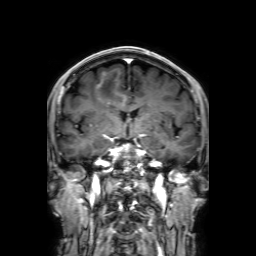
Q: What kind of scan is this?
A: 3 Tesla brain MRI.
Q: Series?
A: 3D T1-weighted with SENSE.
Study: ring-enhancing brain masses.